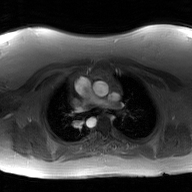
Q: What kind of scan is this?
A: 2D phase-contrast cine MRI of the ascending aorta, GAN super-resolution reconstruction.